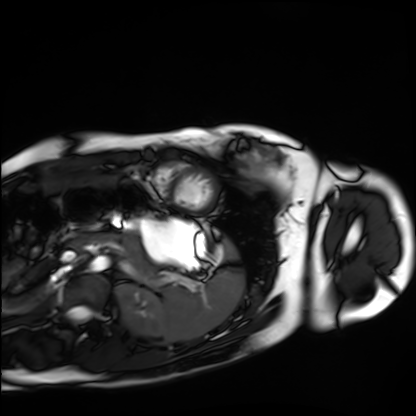
Cardiac MRI.
Subject group: healthy volunteer.